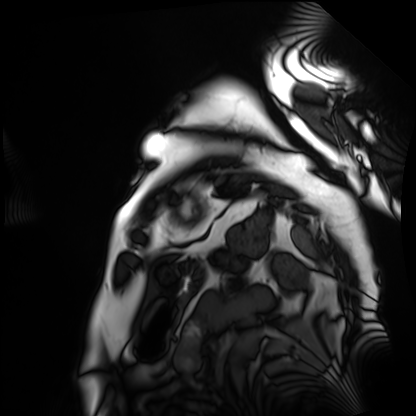
Clinical context: Cardiac MRI. Subject group: patient.